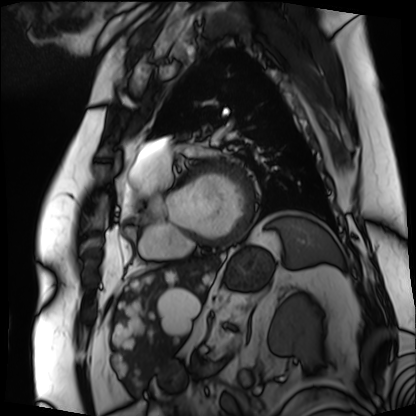
Cardiac MRI. Subject group: patient.